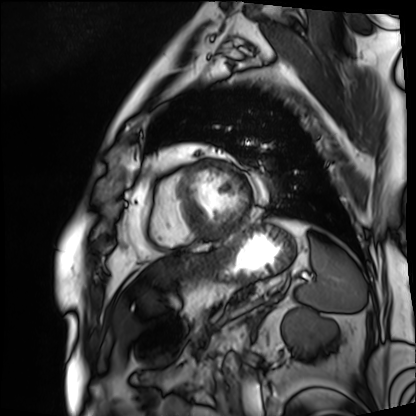
modality: cardiac MRI, subject group: patient.